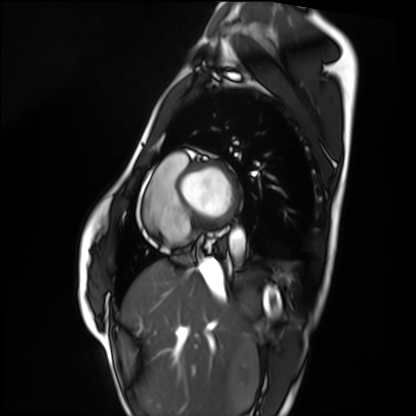
Cardiac MRI. Subject group: healthy volunteer.